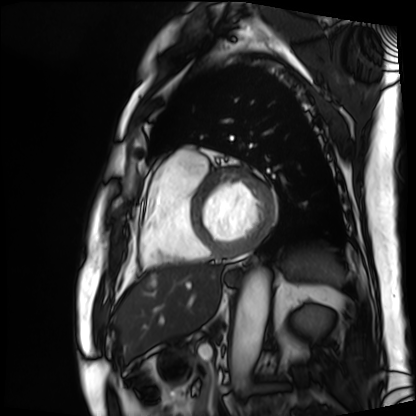
Q: What kind of scan is this?
A: Cardiac MRI.
Subject group: patient.